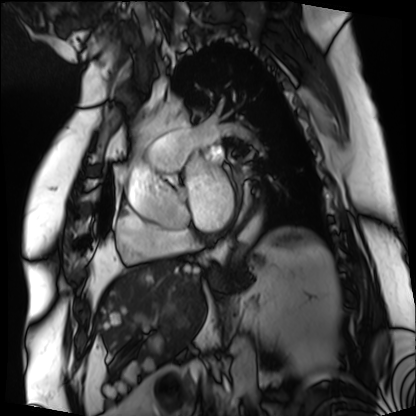
{"modality": "cardiac MRI", "cohort": "patient"}